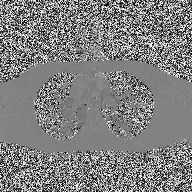
Case summary: 2D phase-contrast cine MRI of the ascending aorta, high-resolution GRAPPA acquisition.